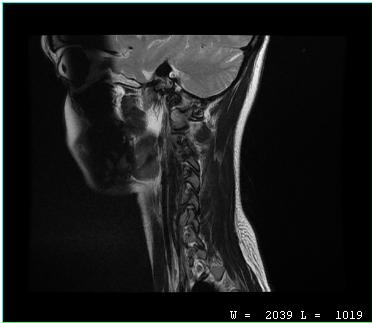
modality: MRI of the cervical spine
study: cervical spondylosis